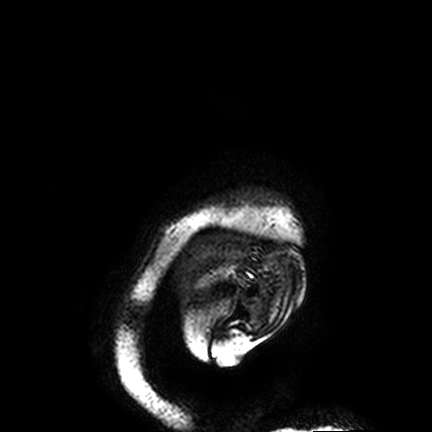
Clinical context: 3 Tesla brain MRI. Series: FLAIR VISTA. Study: ring-enhancing brain masses.